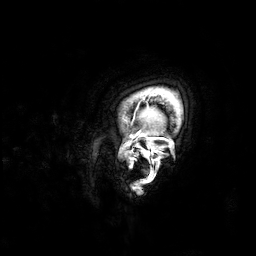
3 Tesla brain MRI. Series: 3D T1-weighted. Study: ring-enhancing brain masses.